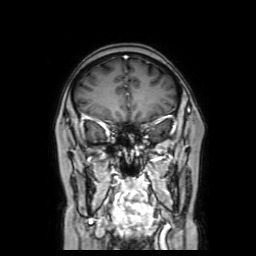
Summary: 3 Tesla brain MRI. Series: coronal with contrast. Study: ring-enhancing brain masses.